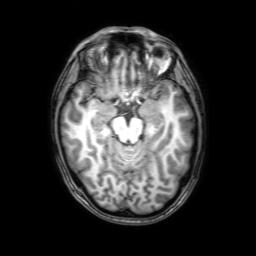
3 Tesla brain MRI. Series: 3D T1-weighted with SENSE. Study: ring-enhancing brain masses.